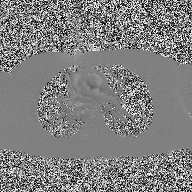
modality=2D phase-contrast cine MRI of the ascending aorta.